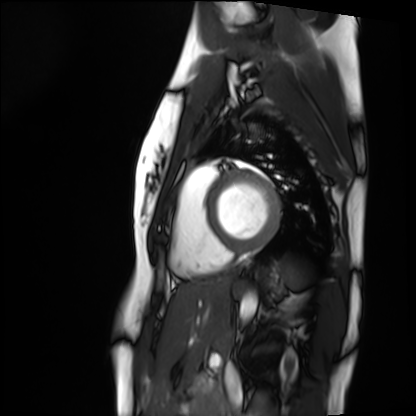
Case:
- modality — cardiac MRI
- subject group — healthy volunteer